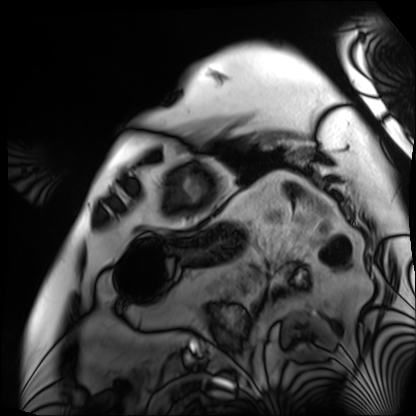
Cardiac MRI. Subject group: patient.